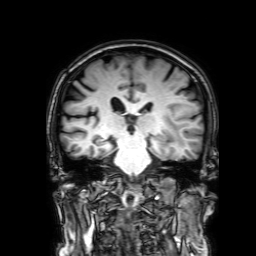
{"modality": {"type": "brain MRI", "field_strength": "3T"}, "series": "3D T1-weighted with SENSE", "study_topic": "ring-enhancing brain masses"}